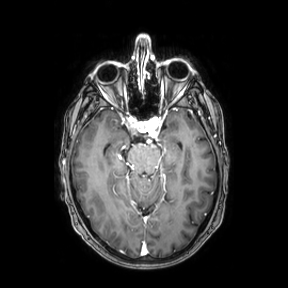
3 Tesla brain MRI. Series: axial. Study: ring-enhancing brain masses.